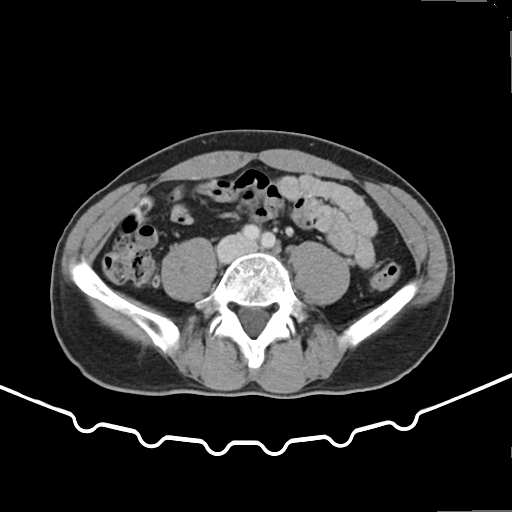
Q: What kind of scan is this?
A: Multiphase abdominal CT, liver, arterial phase.
Q: Patient?
A: Male, age 51.